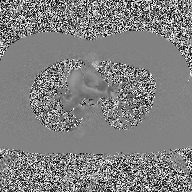
2D phase-contrast cine MRI of the ascending aorta, high-resolution GRAPPA acquisition.